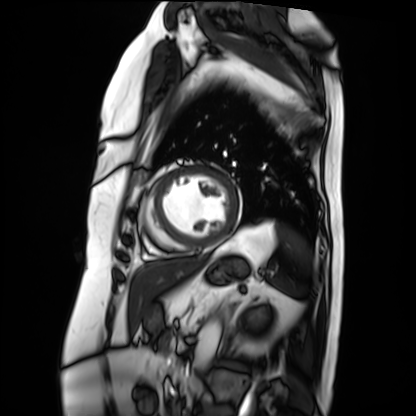
Cardiac MRI.
Subject group: patient.